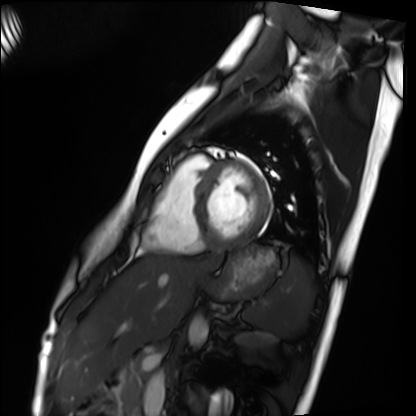
| field | value |
|---|---|
| modality | cardiac MRI |
| subject group | healthy volunteer |